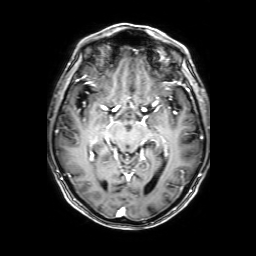
Case summary: 3 Tesla brain MRI. Series: 3D T1-weighted with SENSE. Study: ring-enhancing brain masses.